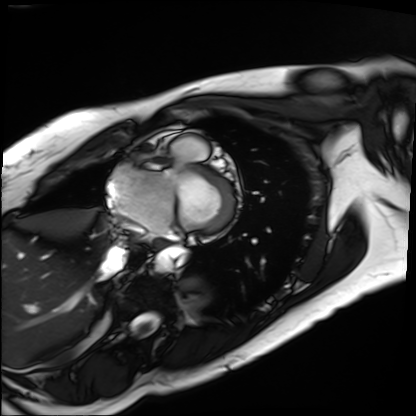
| field | value |
|---|---|
| modality | cardiac MRI |
| subject group | patient |